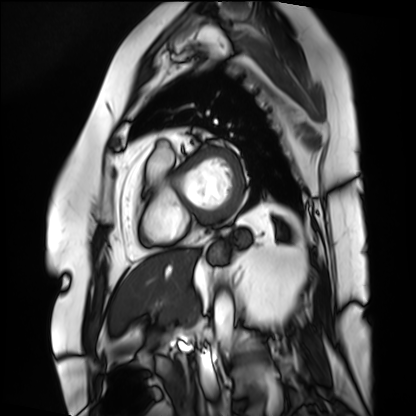
Cardiac MRI. Subject group: patient.